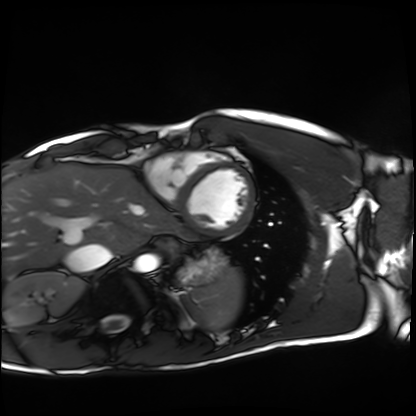
– modality: cardiac MRI
– subject group: healthy volunteer